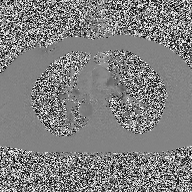
modality: 2D phase-contrast cine MRI of the ascending aorta.